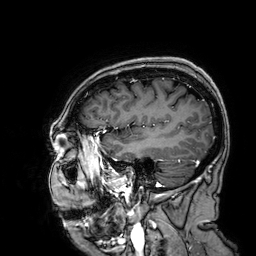
3 Tesla brain MRI. Series: 3D T1-weighted. Study: ring-enhancing brain masses.